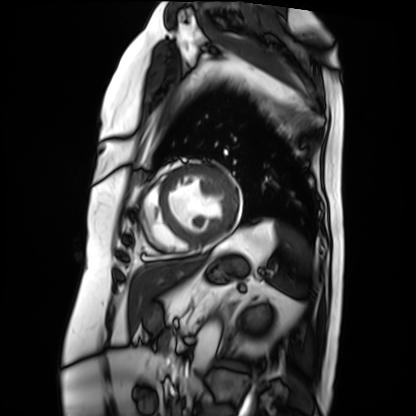
  modality: cardiac MRI
  cohort: patient